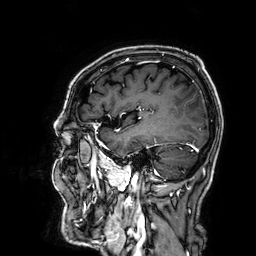
Case summary: 3 Tesla brain MRI. Series: 3D T1-weighted. Study: ring-enhancing brain masses.